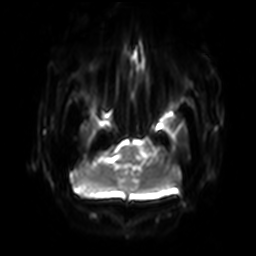
Clinical context: 3 Tesla brain MRI. Series: diffusion-weighted imaging with SENSE (WIP). Study: ring-enhancing brain masses.